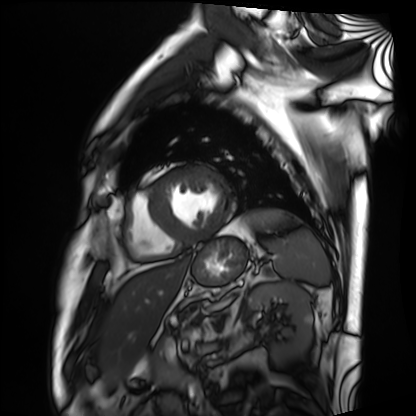
{"modality": "cardiac MRI", "cohort": "patient"}